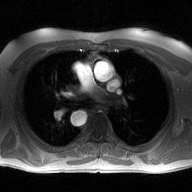
2D phase-contrast cine MRI of the ascending aorta, high-resolution GRAPPA acquisition.